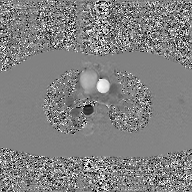
* modality: 2D phase-contrast cine MRI of the ascending aorta, GAN super-resolution reconstruction